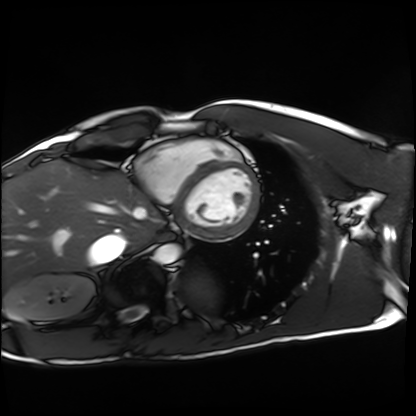
modality: cardiac MRI; subject group: healthy volunteer.